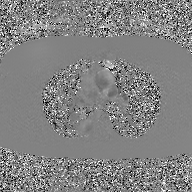
2D phase-contrast cine MRI of the ascending aorta, GAN super-resolution reconstruction.